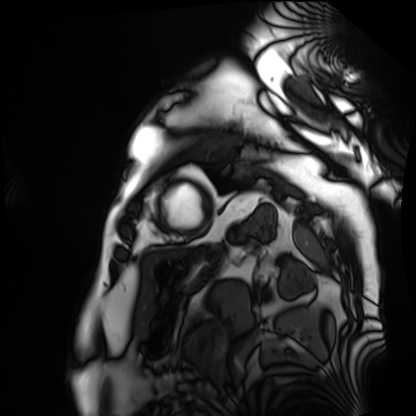
{
  "modality": "cardiac MRI",
  "cohort": "patient"
}